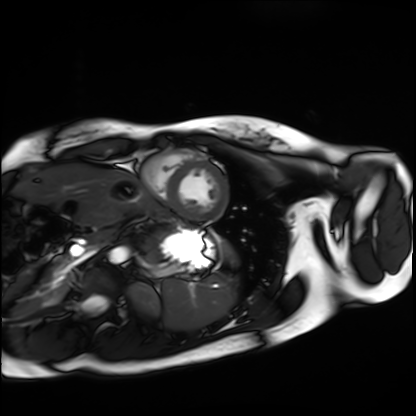
modality — cardiac MRI | subject group — healthy volunteer.